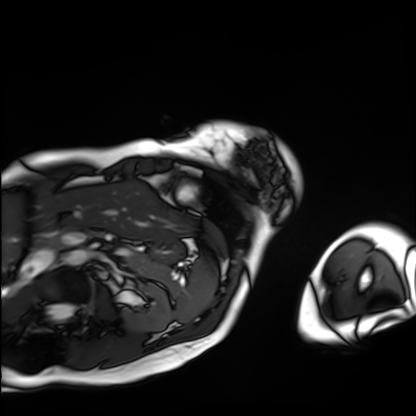
Cardiac MRI.
Subject group: patient.